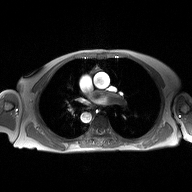
* modality — 2D phase-contrast cine MRI of the ascending aorta